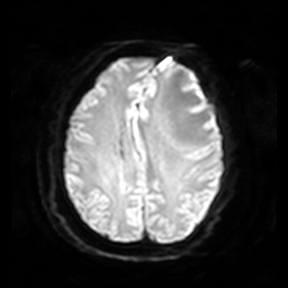
Q: What kind of scan is this?
A: 3 Tesla brain MRI.
Q: Series?
A: Diffusion-weighted imaging.
Study: ring-enhancing brain masses.